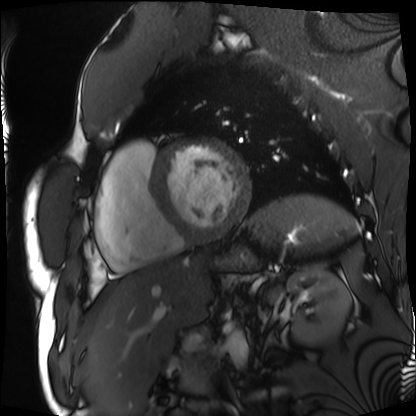
modality: cardiac MRI
cohort: patient